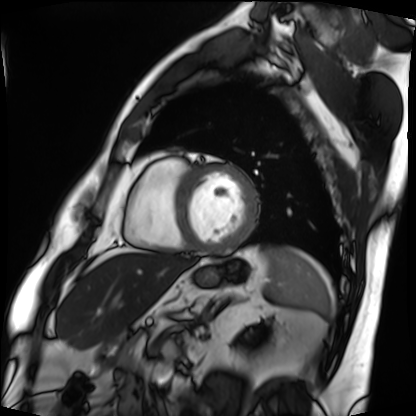
Cardiac MRI. Subject group: patient.